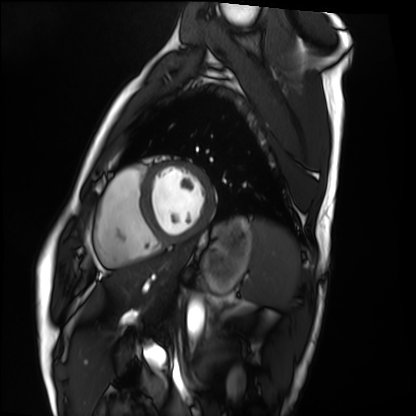
Case:
- modality: cardiac MRI
- subject group: healthy volunteer